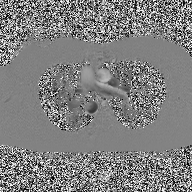
Summary:
2D phase-contrast cine MRI of the ascending aorta, high-resolution GRAPPA acquisition.